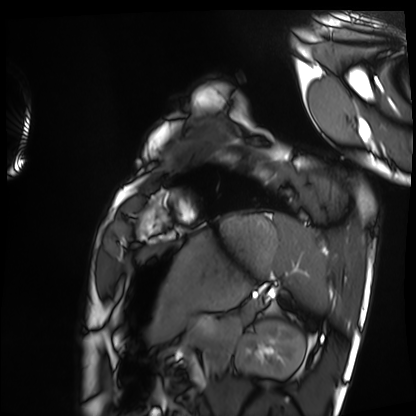
• modality: cardiac MRI
• subject group: healthy volunteer